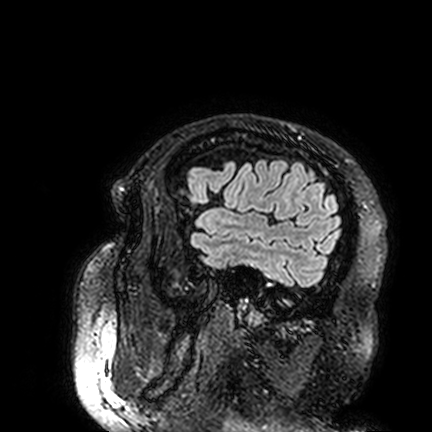
Summary: 3 Tesla brain MRI. Series: FLAIR VISTA. Study: ring-enhancing brain masses.